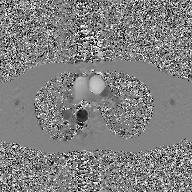
– modality — 2D phase-contrast cine MRI of the ascending aorta, GAN super-resolution reconstruction